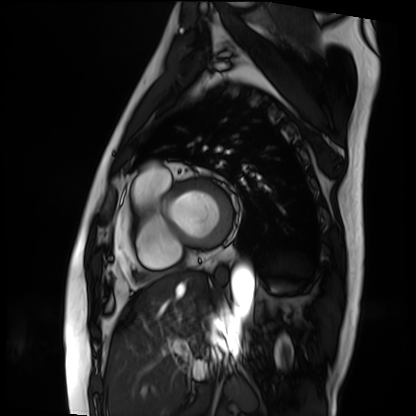
Cardiac MRI. Subject group: patient.